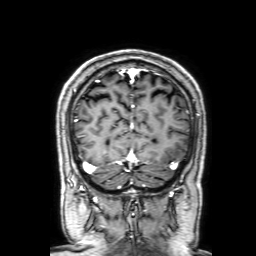
* modality: 3 Tesla brain MRI
* series: 3D T1-weighted with SENSE
* study: ring-enhancing brain masses